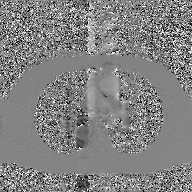
2D phase-contrast cine MRI of the ascending aorta, GAN super-resolution reconstruction.